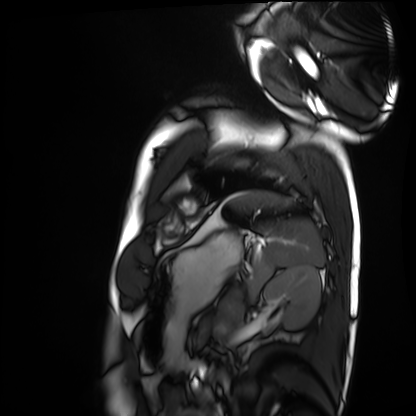
Summary:
Cardiac MRI. Subject group: healthy volunteer.